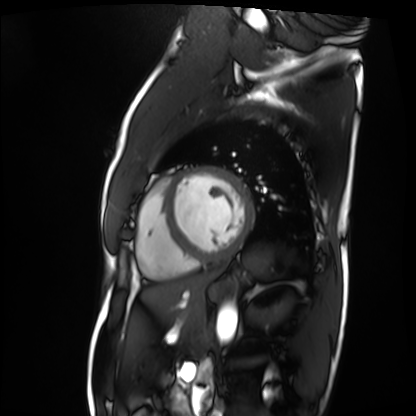
modality: cardiac MRI
subject group: patient